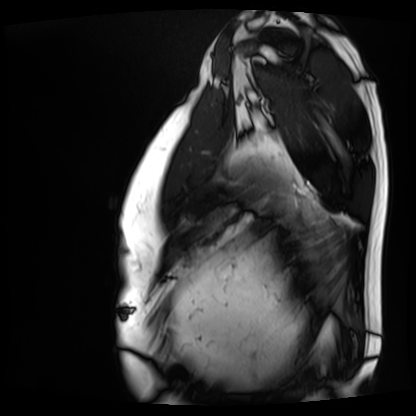
| field | value |
|---|---|
| modality | cardiac MRI |
| subject group | patient |